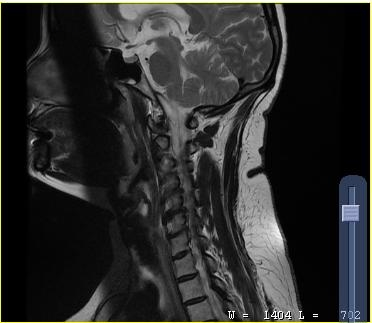
Q: What kind of scan is this?
A: MRI of the cervical spine.
Study: cervical spondylosis.